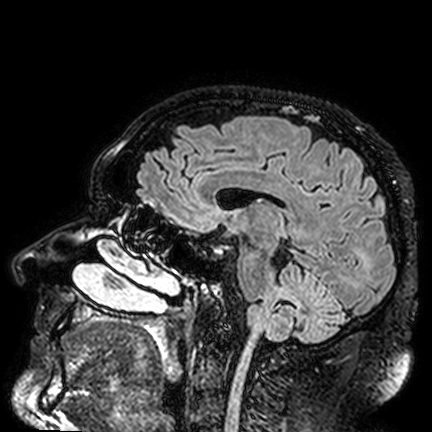
3 Tesla brain MRI. Series: FLAIR VISTA. Study: ring-enhancing brain masses.